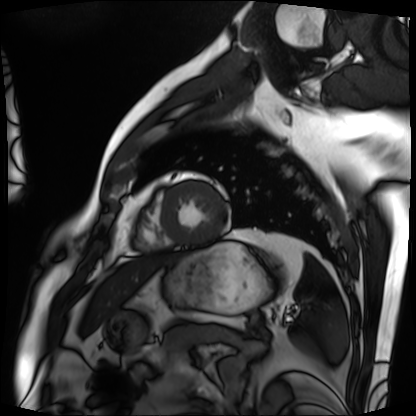
Cardiac MRI. Subject group: patient.